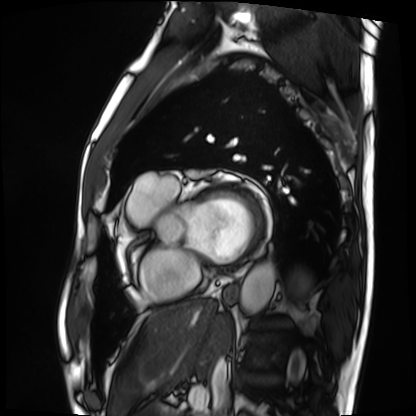
Cardiac MRI.
Subject group: patient.